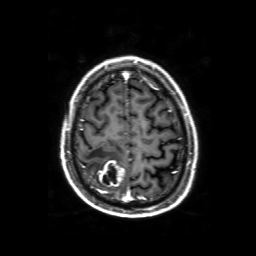
3 Tesla brain MRI.
Series: 3D T1-weighted with SENSE.
Study: ring-enhancing brain masses.